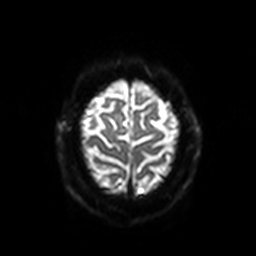
Case summary:
3 Tesla brain MRI. Study: ring-enhancing brain masses.